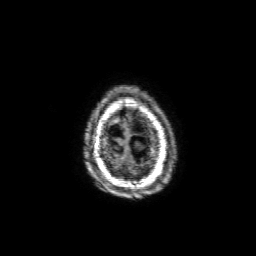
Summary: 3 Tesla brain MRI. Series: 3D T1-weighted with SENSE. Study: ring-enhancing brain masses.